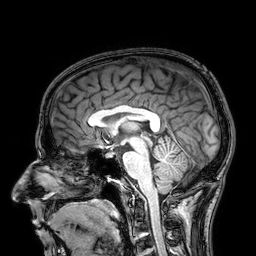
3 Tesla brain MRI.
Series: 3D T1-weighted.
Study: ring-enhancing brain masses.